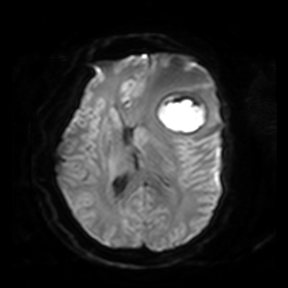
3 Tesla brain MRI. Series: diffusion-weighted imaging. Study: ring-enhancing brain masses.